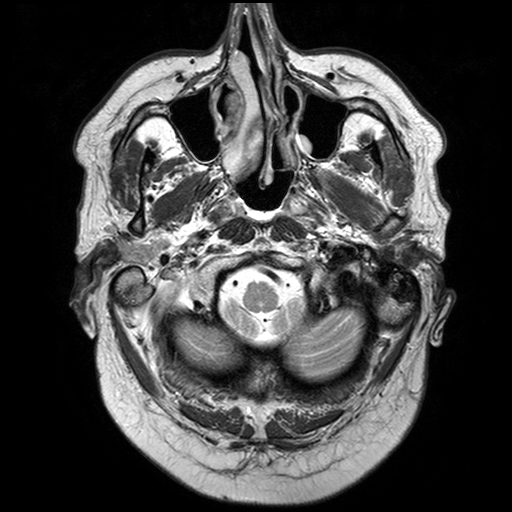
<case>
<modality>
  <type>brain MRI</type>
  <field_strength>3T</field_strength>
</modality>
<series>T2-weighted turbo spin echo with SENSE</series>
<study_topic>ring-enhancing brain masses</study_topic>
</case>